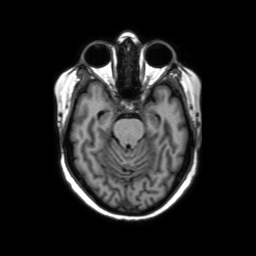
3 Tesla brain MRI. Series: axial without contrast. Study: ring-enhancing brain masses.